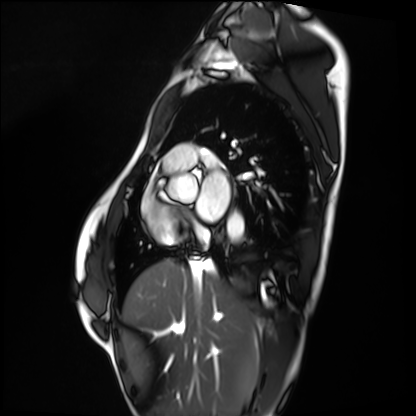
Cardiac MRI. Subject group: healthy volunteer.